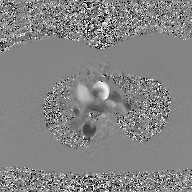
{"modality": {"type": "2D phase-contrast cine MRI", "region": "ascending aorta", "reconstruction": "GAN super-resolution reconstruction"}}